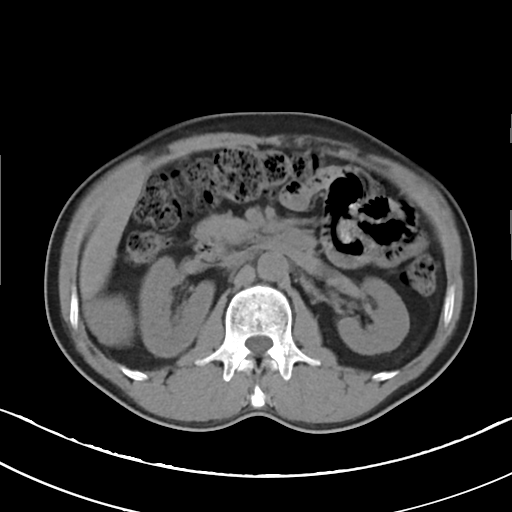
  modality:
    type: multiphase abdominal CT
    region: liver
    phase: non-contrast
  patient:
    sex: male
    age: 49
  history:
    - viral hepatitis